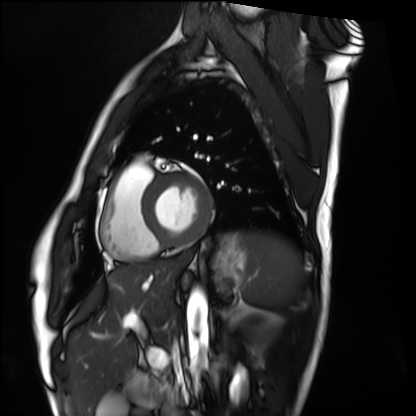
| field | value |
|---|---|
| modality | cardiac MRI |
| subject group | healthy volunteer |